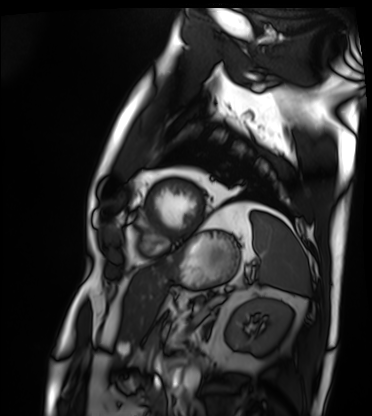
modality: cardiac MRI | subject group: patient.